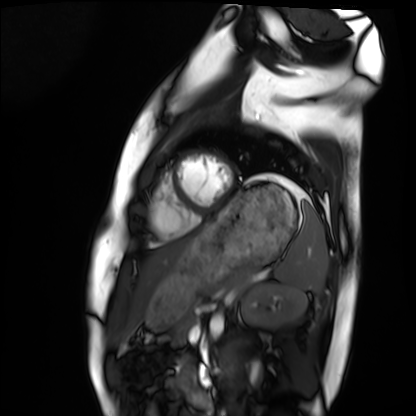
modality: cardiac MRI; subject group: healthy volunteer.